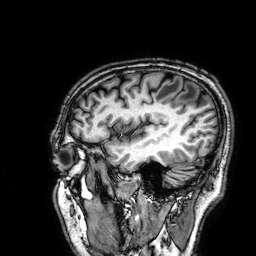
3 Tesla brain MRI.
Series: 3D T1-weighted.
Study: ring-enhancing brain masses.